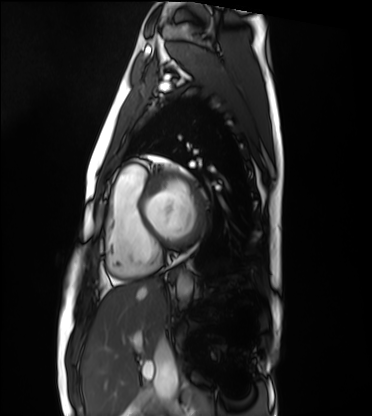
modality — cardiac MRI | subject group — healthy volunteer.